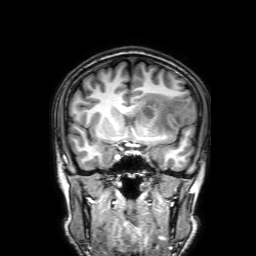
3 Tesla brain MRI. Series: 3D T1-weighted with SENSE. Study: ring-enhancing brain masses.